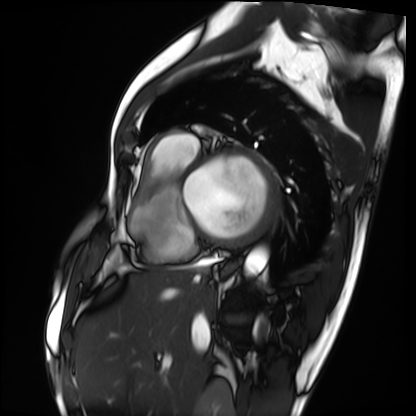
Clinical context:
Cardiac MRI. Subject group: patient.